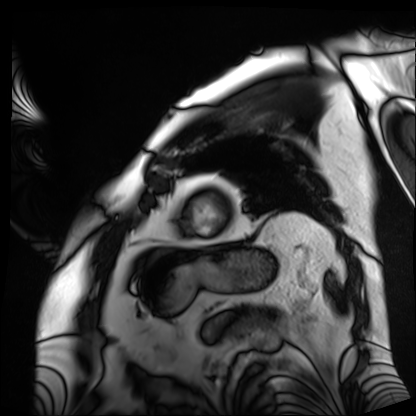
Summary: Cardiac MRI. Subject group: patient.